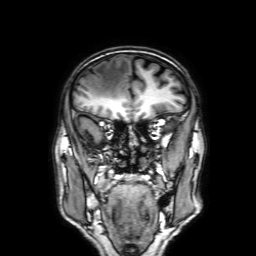
Q: What kind of scan is this?
A: 3 Tesla brain MRI.
Q: Series?
A: 3D T1-weighted with SENSE.
Study: ring-enhancing brain masses.